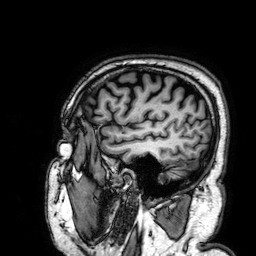
3 Tesla brain MRI.
Series: 3D T1-weighted.
Study: ring-enhancing brain masses.